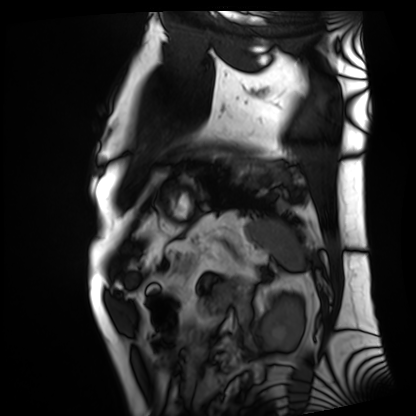
<scan>
  <modality>cardiac MRI</modality>
  <cohort>patient</cohort>
</scan>